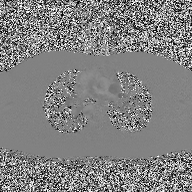
Summary: 2D phase-contrast cine MRI of the ascending aorta, high-resolution GRAPPA acquisition.